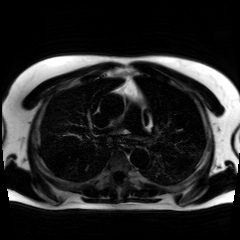
Chemical-shift-encoded cardiac MRI.